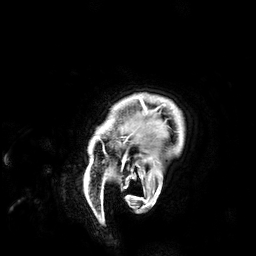
3 Tesla brain MRI. Series: 3D T1-weighted. Study: ring-enhancing brain masses.